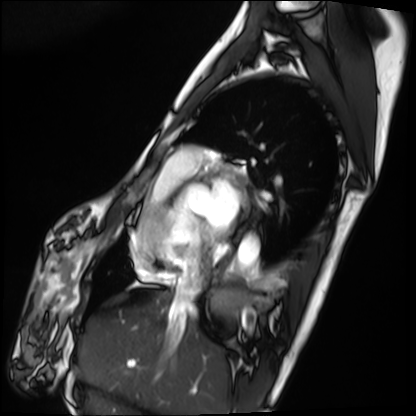
Cardiac MRI.
Subject group: patient.